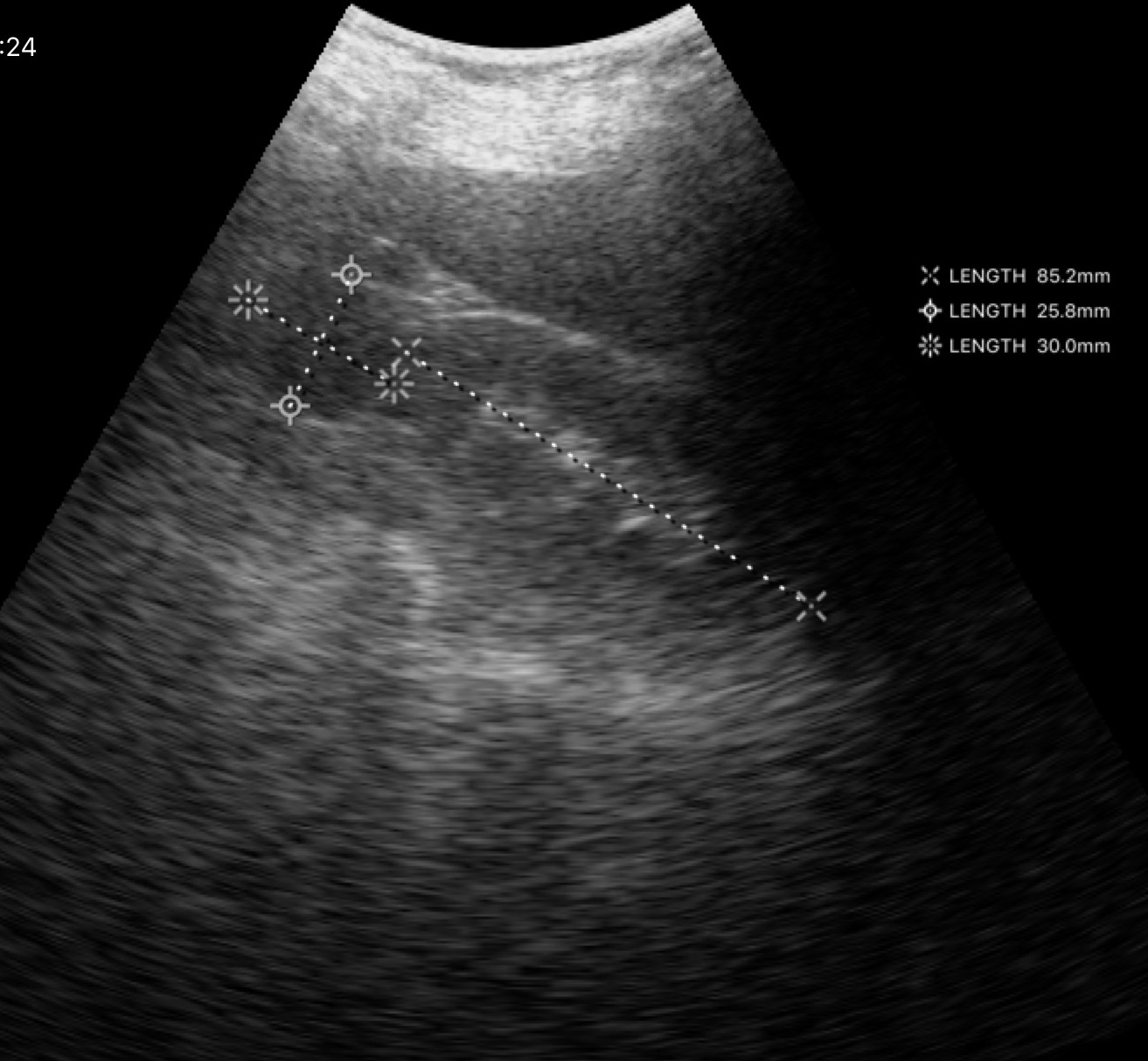
Genitourinary ultrasound.